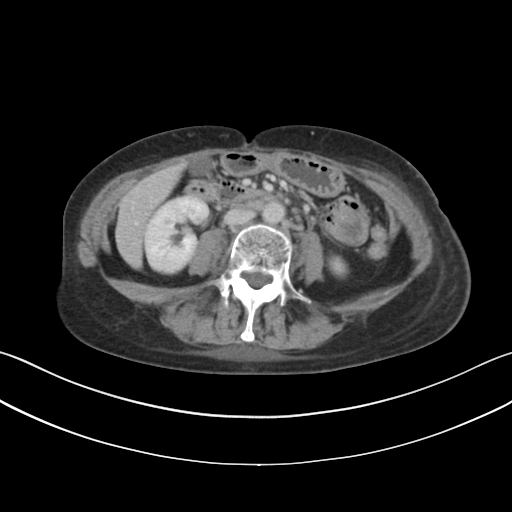
{
  "modality": {
    "type": "multiphase abdominal CT",
    "region": "liver",
    "phase": "delayed"
  }
}